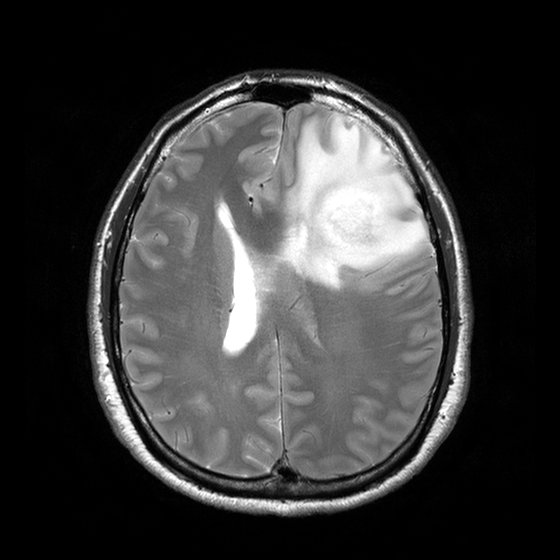
Q: What kind of scan is this?
A: 3 Tesla brain MRI.
Q: Series?
A: T2-weighted turbo spin echo with CLEAR.
Study: ring-enhancing brain masses.